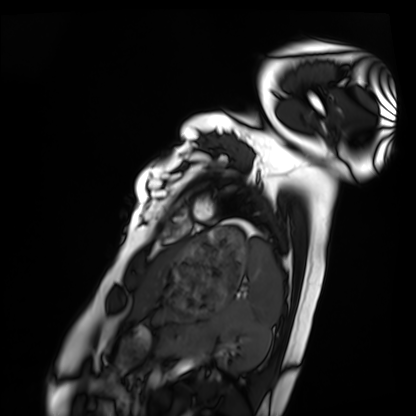
  modality: cardiac MRI
  cohort: healthy volunteer